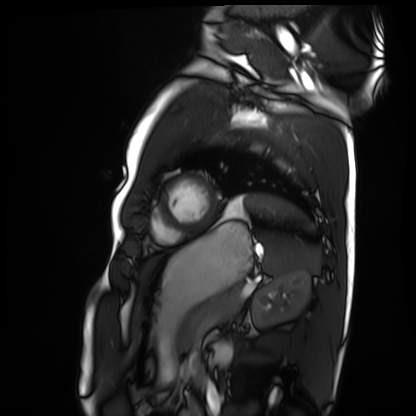
Summary: Cardiac MRI. Subject group: healthy volunteer.